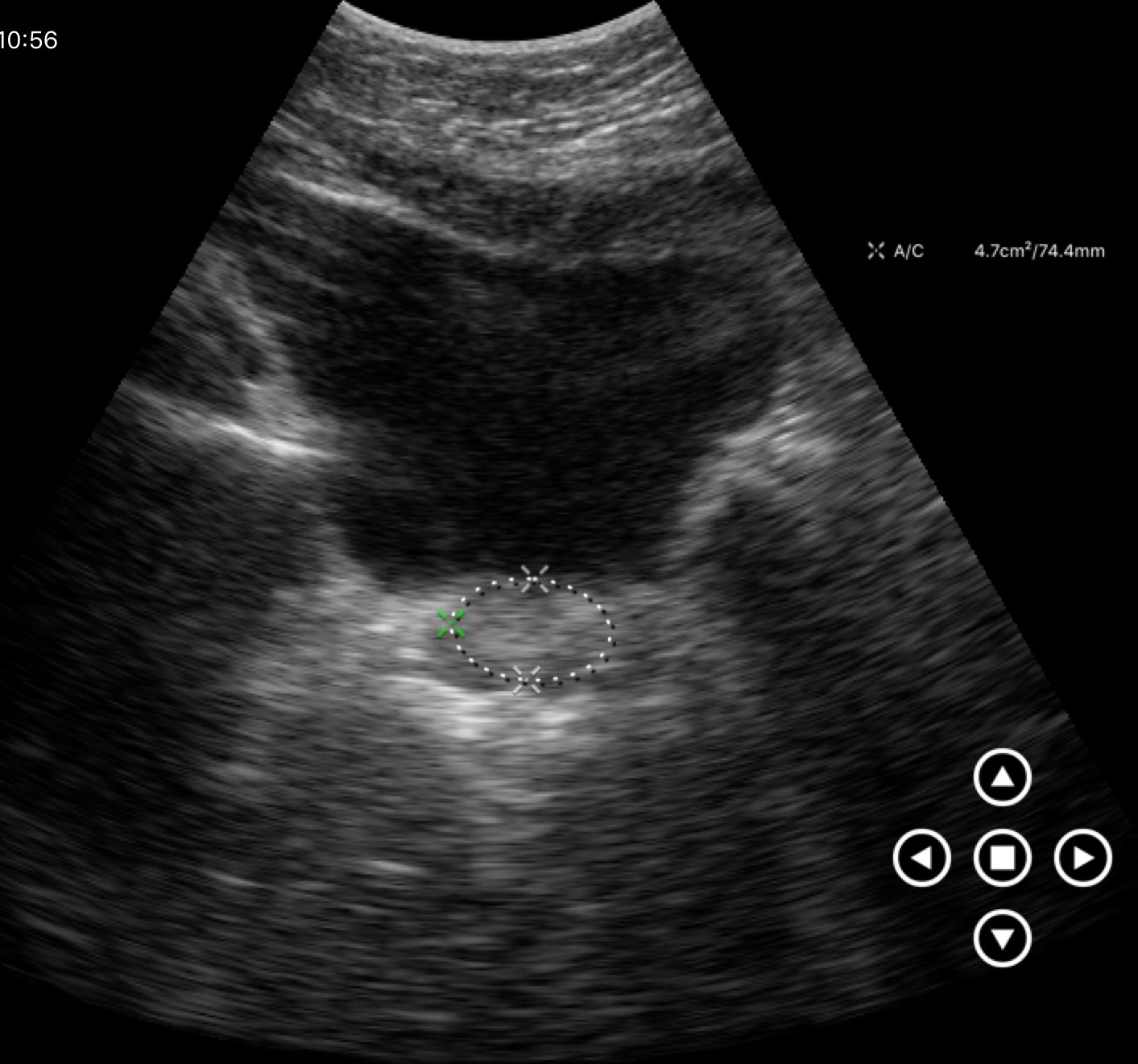
{
  "modality": {
    "type": "genitourinary ultrasound"
  }
}